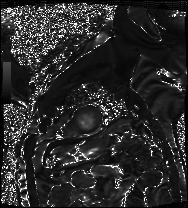
Cardiac MRI.
Subject group: patient.